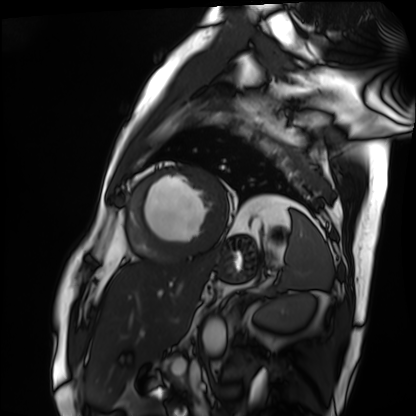
modality: cardiac MRI
subject group: patient